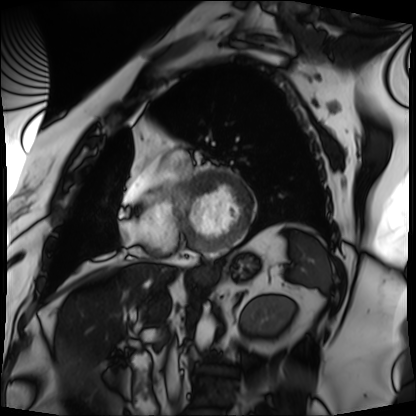
Q: What kind of scan is this?
A: Cardiac MRI.
Subject group: patient.